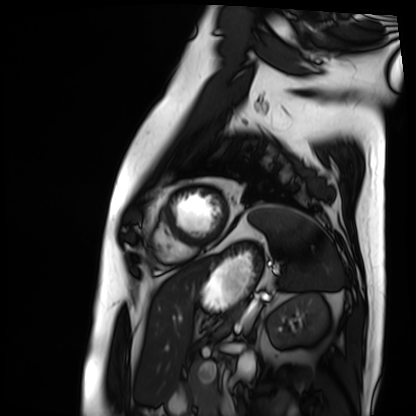
Cardiac MRI.
Subject group: patient.